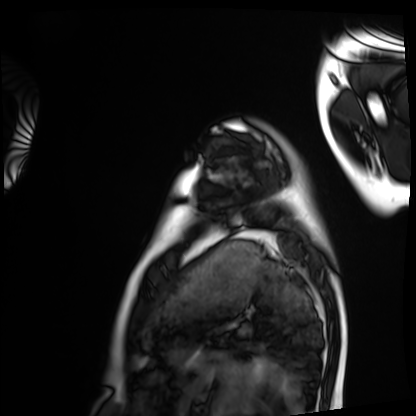
Case:
* modality — cardiac MRI
* subject group — healthy volunteer